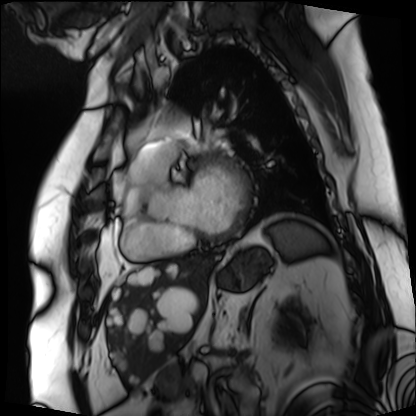
modality: cardiac MRI; subject group: patient.